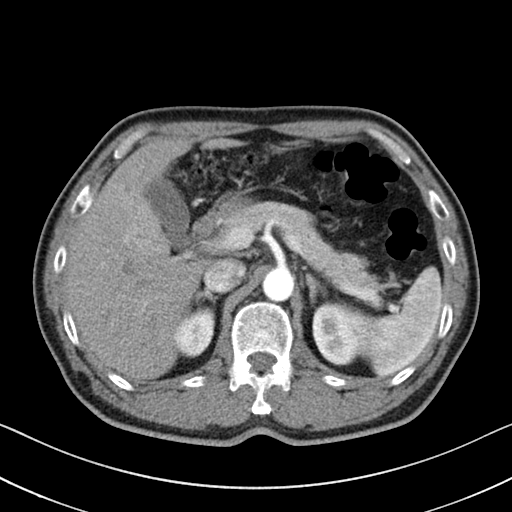
• modality: multiphase abdominal CT, liver, arterial phase
• patient: male, age 54